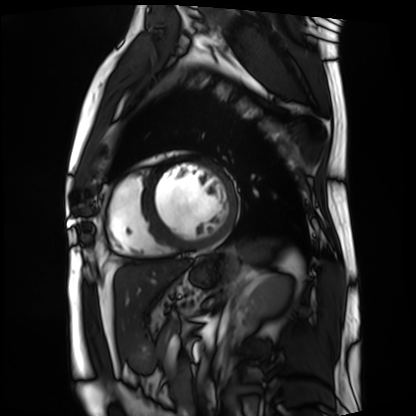
Clinical context: Cardiac MRI. Subject group: patient.